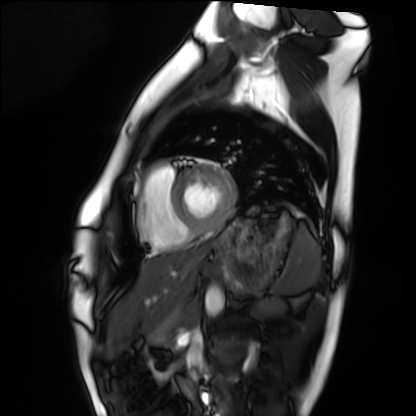
Q: What kind of scan is this?
A: Cardiac MRI.
Subject group: healthy volunteer.